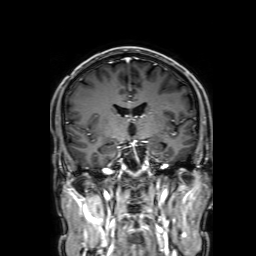
Clinical context: 3 Tesla brain MRI. Series: 3D T1-weighted with SENSE. Study: ring-enhancing brain masses.